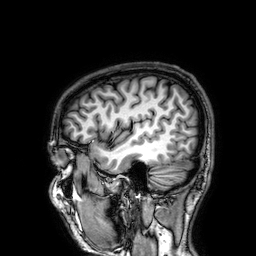
modality=3 Tesla brain MRI; series=3D T1-weighted; study=ring-enhancing brain masses.